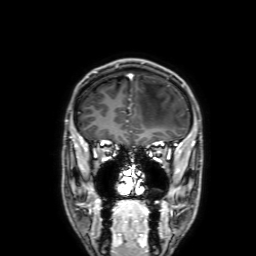
3 Tesla brain MRI.
Series: 3D T1-weighted with SENSE.
Study: ring-enhancing brain masses.